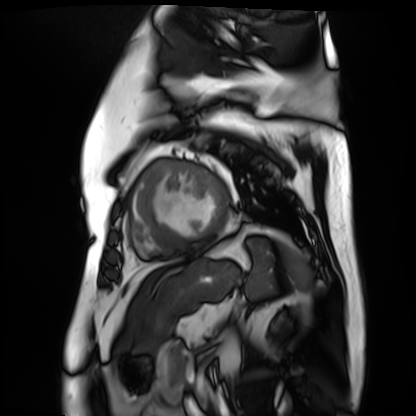
modality: cardiac MR image of the myocardium
cohort: cardiac patient